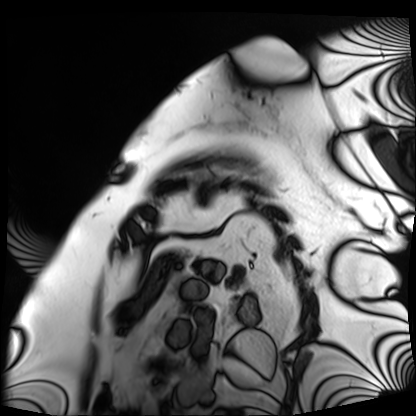
{"modality": "cardiac MRI", "cohort": "patient"}